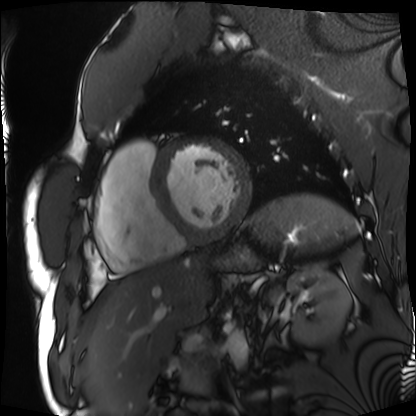
Summary:
Cardiac MRI. Subject group: patient.